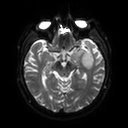
| field | value |
|---|---|
| modality | 3 Tesla brain MRI |
| series | diffusion tensor imaging (medium iso) |
| study | ring-enhancing brain masses |